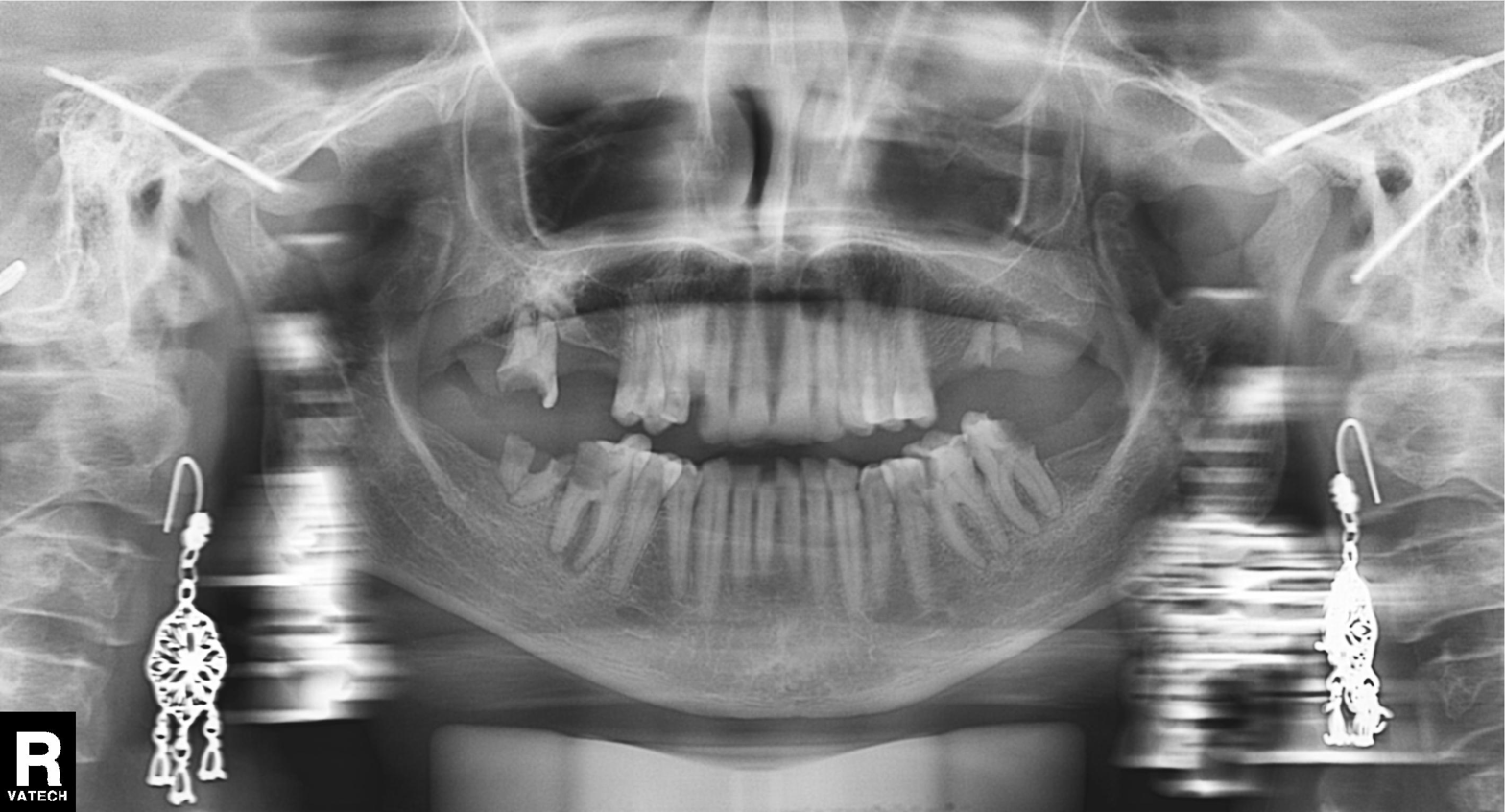
modality: panoramic dental radiograph (orthopantomogram); finding: alveolar bone loss.